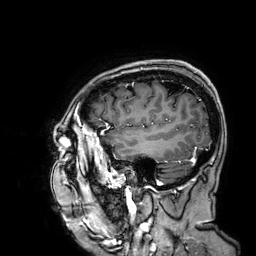
Summary:
3 Tesla brain MRI. Series: 3D T1-weighted. Study: ring-enhancing brain masses.